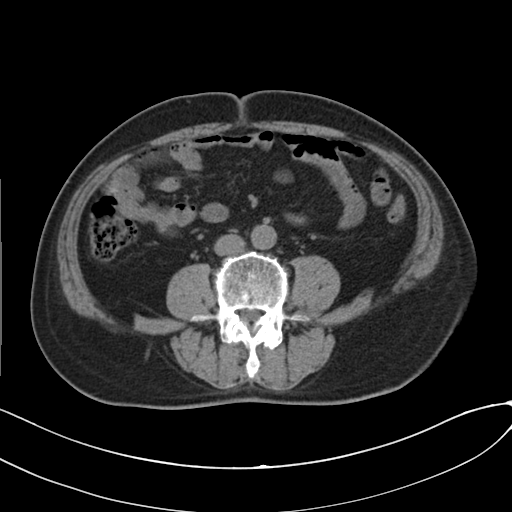
Case:
- modality — multiphase abdominal CT, liver, non-contrast phase
- patient — male, age 73